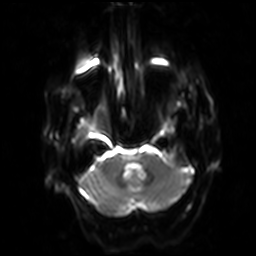
modality: 3 Tesla brain MRI | series: diffusion-weighted imaging with SENSE (WIP) | study: ring-enhancing brain masses.